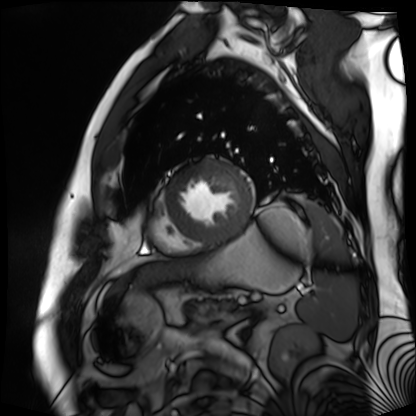
{
  "modality": "cardiac MR image of the myocardium",
  "cohort": "cardiac patient"
}